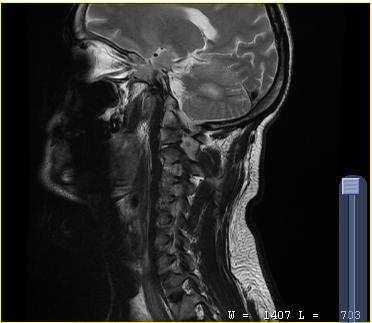
MRI of the cervical spine.
Study: cervical spondylosis.